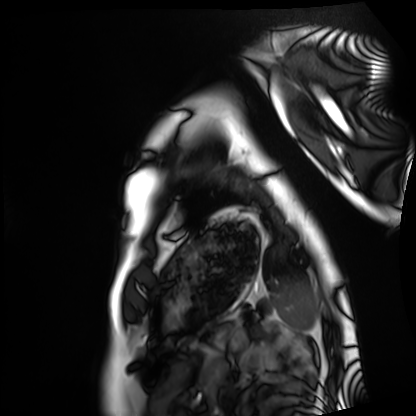
* modality — cardiac MRI
* subject group — healthy volunteer